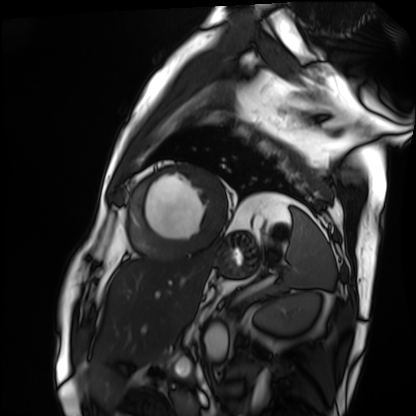
Q: What kind of scan is this?
A: Cardiac MRI.
Subject group: patient.